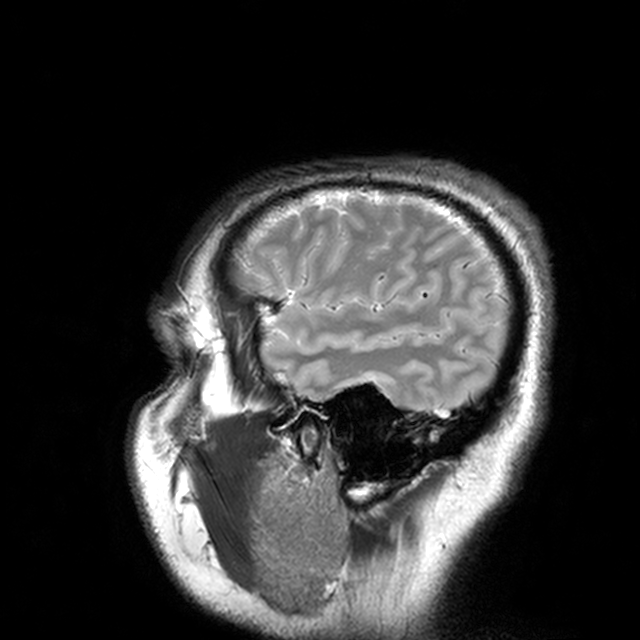
Clinical context:
3 Tesla brain MRI. Series: T2-weighted turbo spin echo with CLEAR. Study: ring-enhancing brain masses.